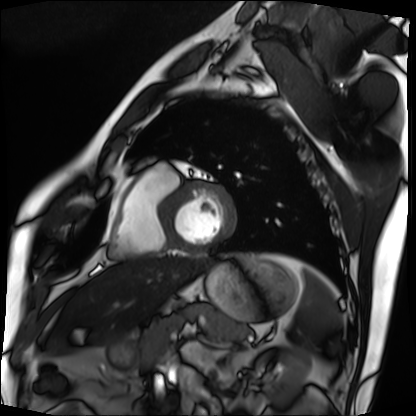
<case>
  <modality>cardiac MRI</modality>
  <cohort>patient</cohort>
</case>